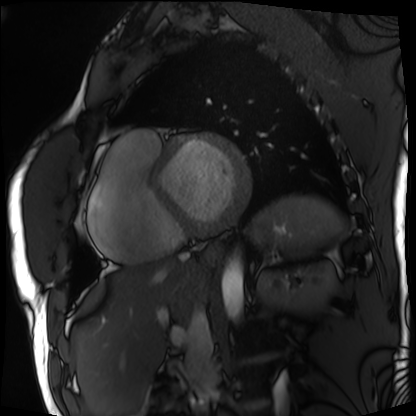
{"modality": "cardiac MRI", "cohort": "patient"}